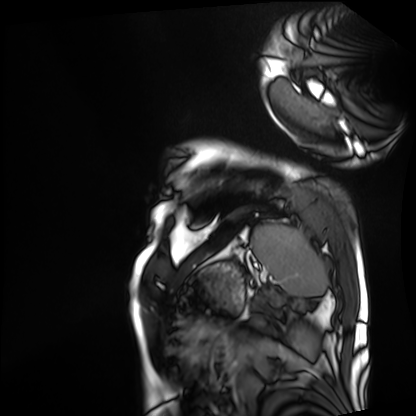
{"modality": "cardiac MRI", "cohort": "patient"}